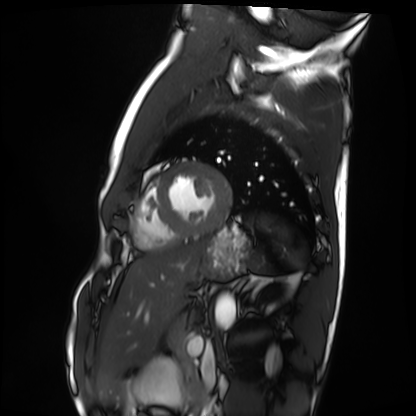
Cardiac MRI. Subject group: healthy volunteer.